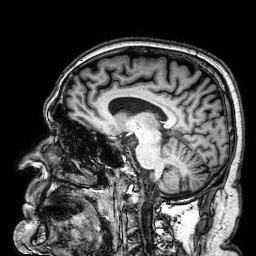
Case summary: 3 Tesla brain MRI. Series: 3D T1-weighted. Study: ring-enhancing brain masses.